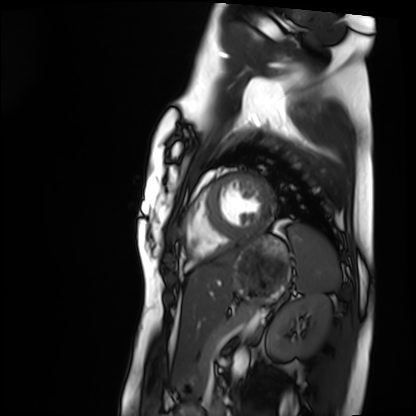
modality: cardiac MRI | subject group: healthy volunteer.